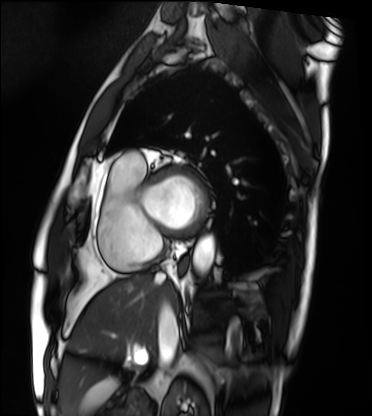
Case summary:
Cardiac MRI. Subject group: patient.